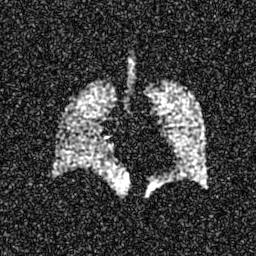
Hyperpolarized 129Xe ventilation MRI of the lungs. SNR level 7 of 8 (the deposit holds this scan as its native image and as seven SNR-degraded versions).